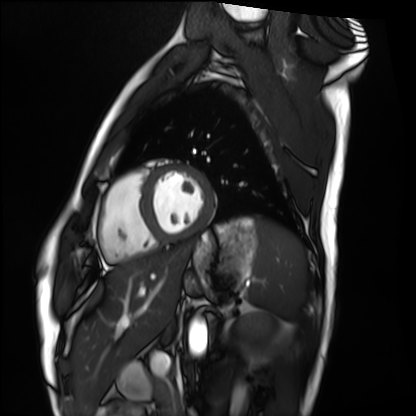
{
  "modality": "cardiac MRI",
  "cohort": "healthy volunteer"
}